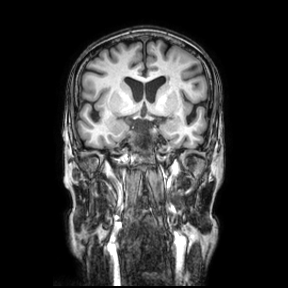
3 Tesla brain MRI. Series: coronal. Study: ring-enhancing brain masses.